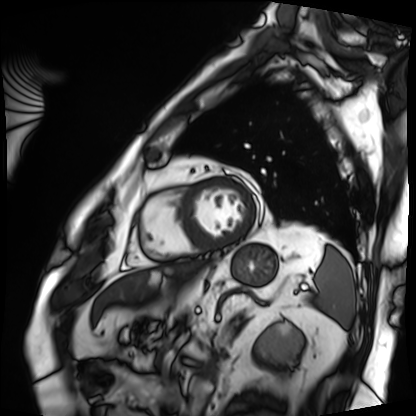
Q: What kind of scan is this?
A: Cardiac MRI.
Subject group: patient.